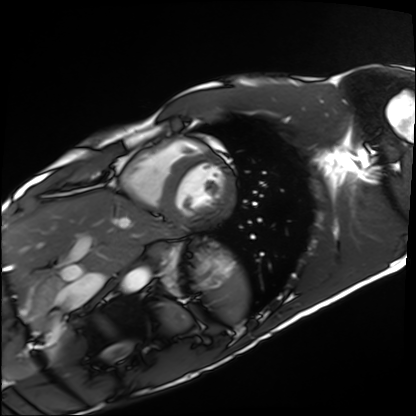
modality: cardiac MRI; subject group: healthy volunteer.